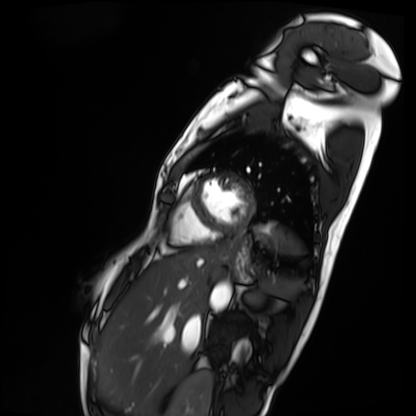
Case:
– modality · cardiac MRI
– subject group · patient